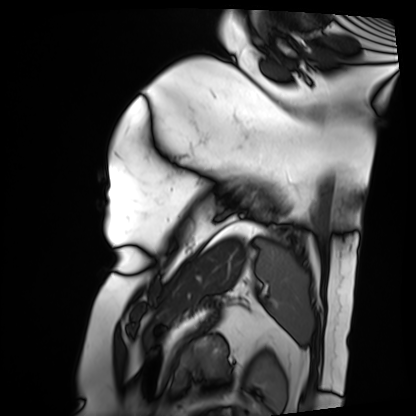
Summary: Cardiac MRI. Subject group: patient.